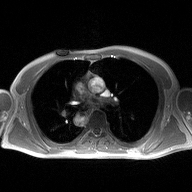
Q: What kind of scan is this?
A: 2D phase-contrast cine MRI of the ascending aorta.